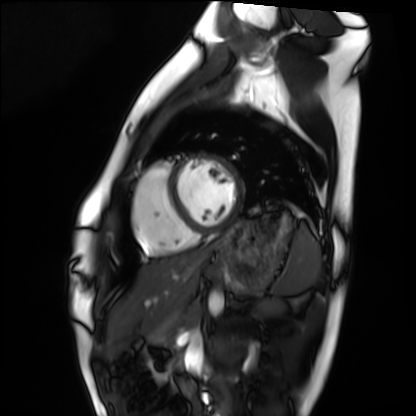
modality = cardiac MRI
subject group = healthy volunteer